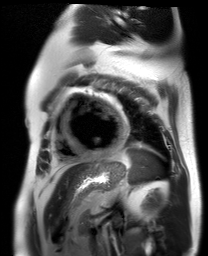
Cardiac MR image of the myocardium.
Subject cohort: cardiac patient.